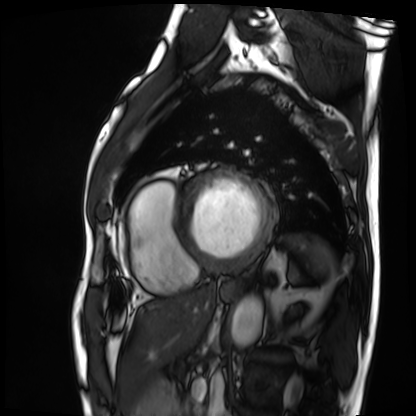
Cardiac MRI. Subject group: patient.